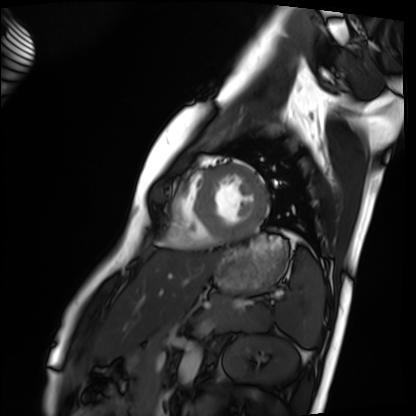
modality: cardiac MRI; subject group: healthy volunteer.